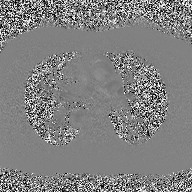
2D phase-contrast cine MRI of the ascending aorta, high-resolution GRAPPA acquisition.